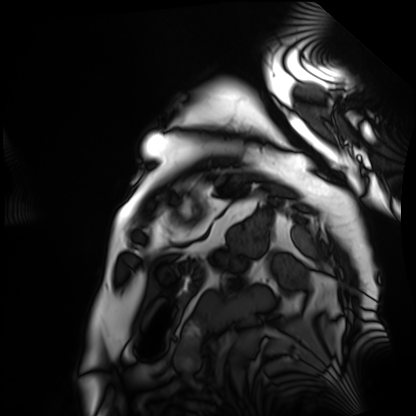
Cardiac MRI. Subject group: patient.